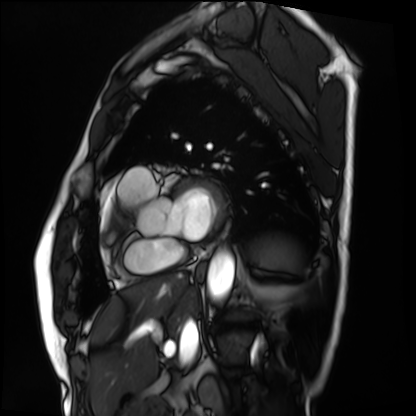
  modality: cardiac MRI
  cohort: patient